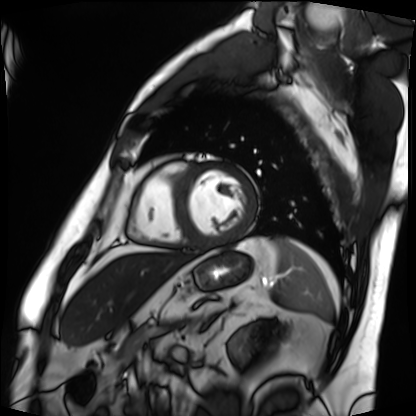
Q: What kind of scan is this?
A: Cardiac MRI.
Subject group: patient.